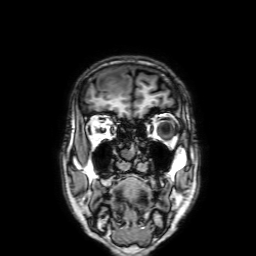
3 Tesla brain MRI. Series: 3D T1-weighted with SENSE. Study: ring-enhancing brain masses.